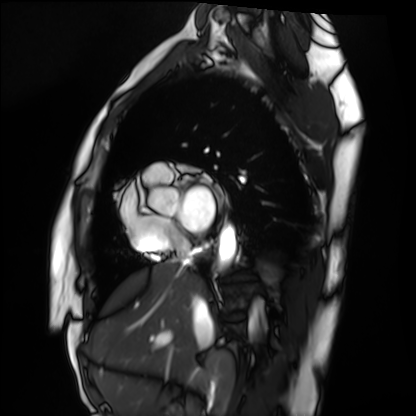
modality: cardiac MRI; subject group: healthy volunteer.